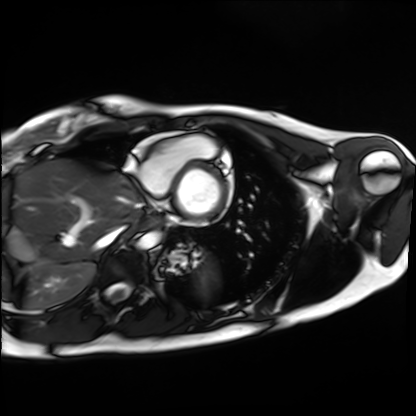
Q: What kind of scan is this?
A: Cardiac MRI.
Subject group: healthy volunteer.